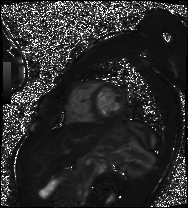
Clinical context: Cardiac MRI. Subject group: patient.